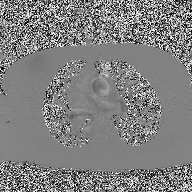
Case:
* modality — 2D phase-contrast cine MRI of the ascending aorta